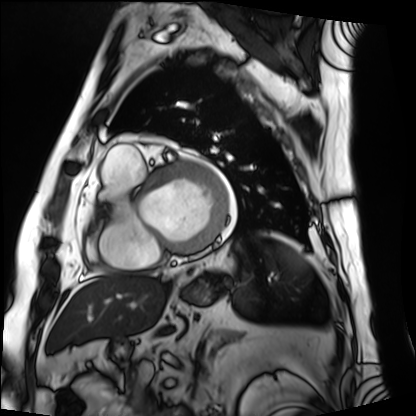
modality: cardiac MRI; subject group: patient.